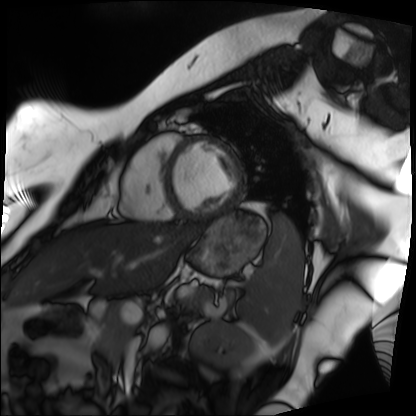
<scan>
  <modality>cardiac MRI</modality>
  <cohort>patient</cohort>
</scan>